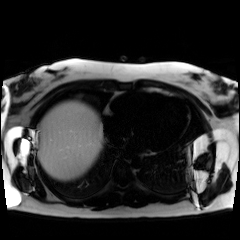
{"modality": "chemical-shift-encoded cardiac MRI"}